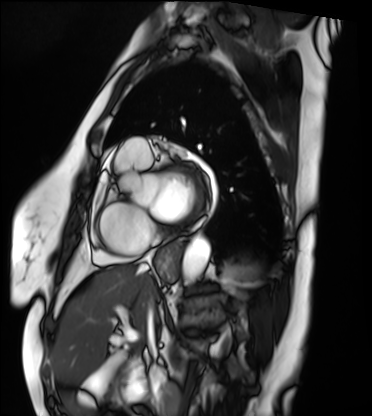
Summary: Cardiac MRI. Subject group: patient.